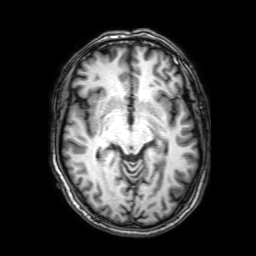
3 Tesla brain MRI.
Series: 3D T1-weighted with SENSE.
Study: ring-enhancing brain masses.